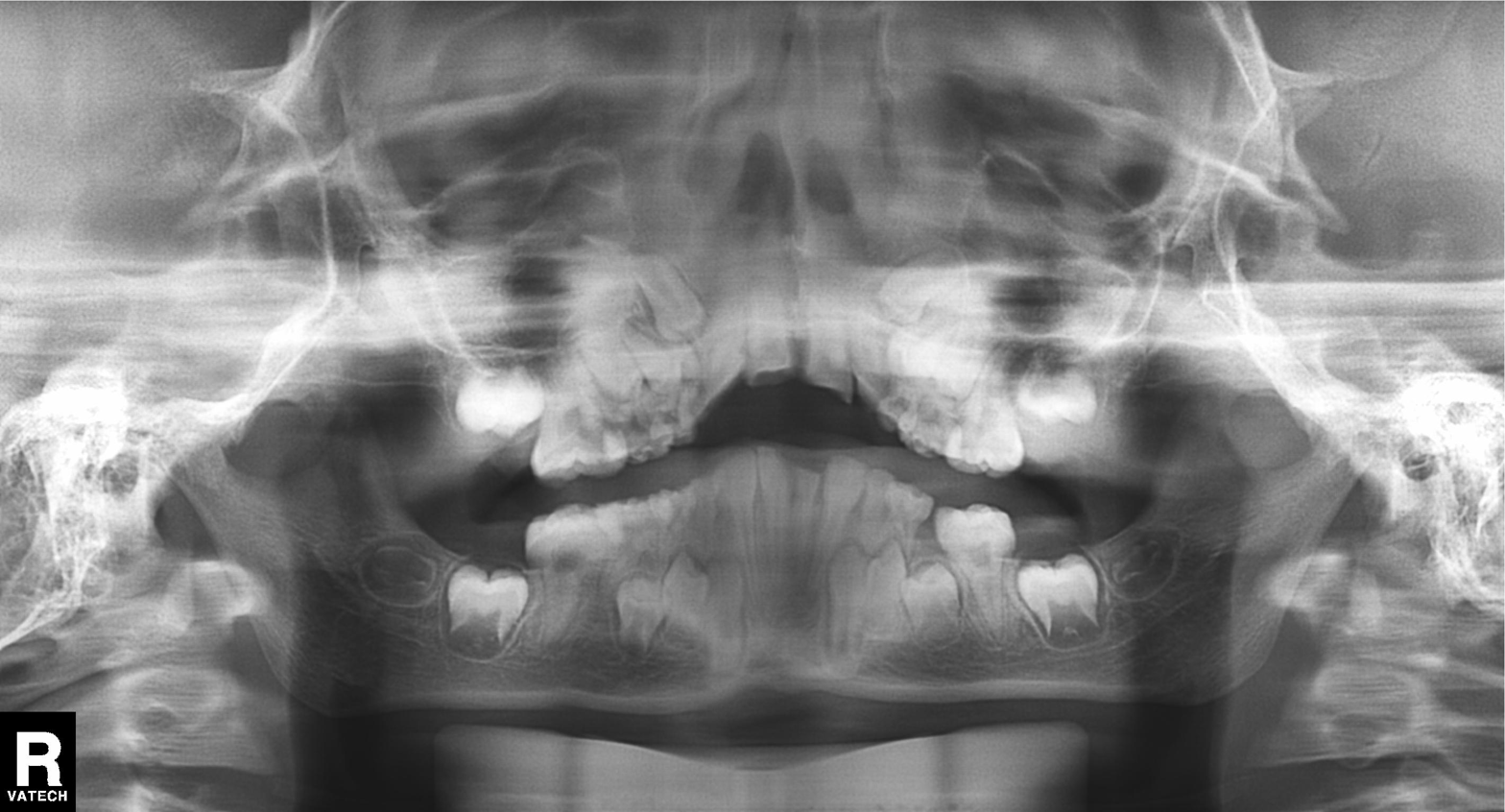
– modality · panoramic dental radiograph (orthopantomogram)
– finding · alveolar bone loss